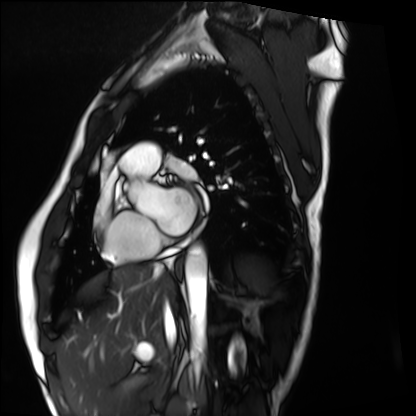
Cardiac MRI. Subject group: healthy volunteer.